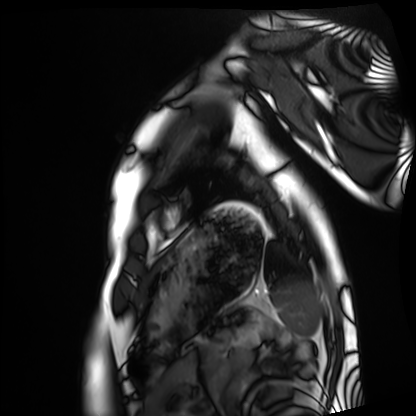
  modality: cardiac MRI
  cohort: healthy volunteer